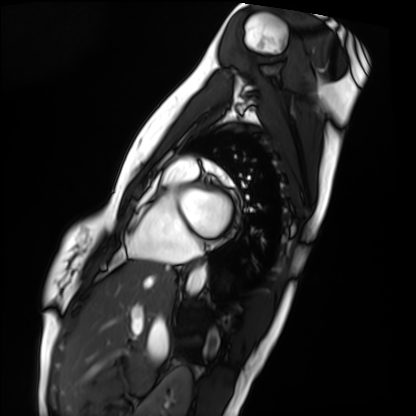
Clinical context: Cardiac MRI. Subject group: healthy volunteer.